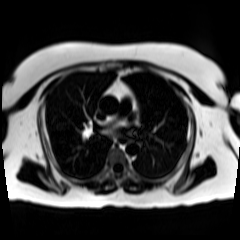
Q: What kind of scan is this?
A: Chemical-shift-encoded cardiac MRI.